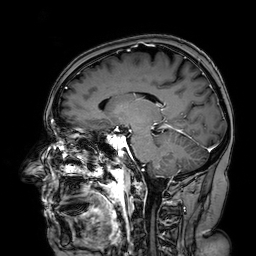
Q: What kind of scan is this?
A: 3 Tesla brain MRI.
Q: Series?
A: 3D T1-weighted turbo field echo with SENSE.
Study: ring-enhancing brain masses.